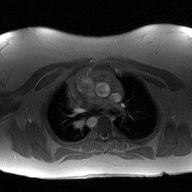
2D phase-contrast cine MRI of the ascending aorta, high-resolution GRAPPA acquisition.